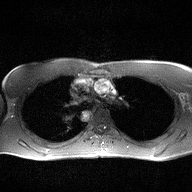
| field | value |
|---|---|
| modality | 2D phase-contrast cine MRI of the ascending aorta |